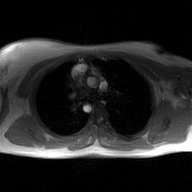
2D phase-contrast cine MRI of the ascending aorta, GAN super-resolution reconstruction.